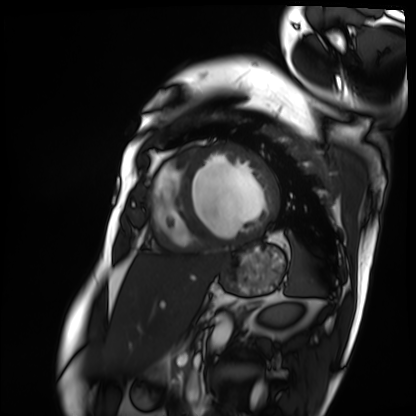
Summary: Cardiac MRI. Subject group: patient.